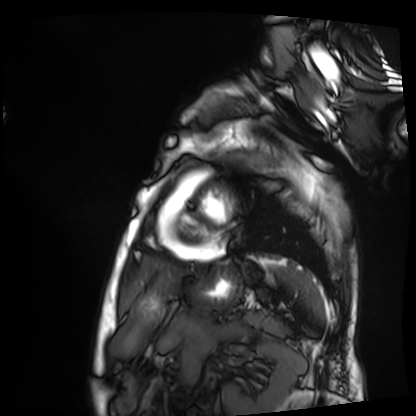
<study>
<modality>cardiac MRI</modality>
<cohort>patient</cohort>
</study>